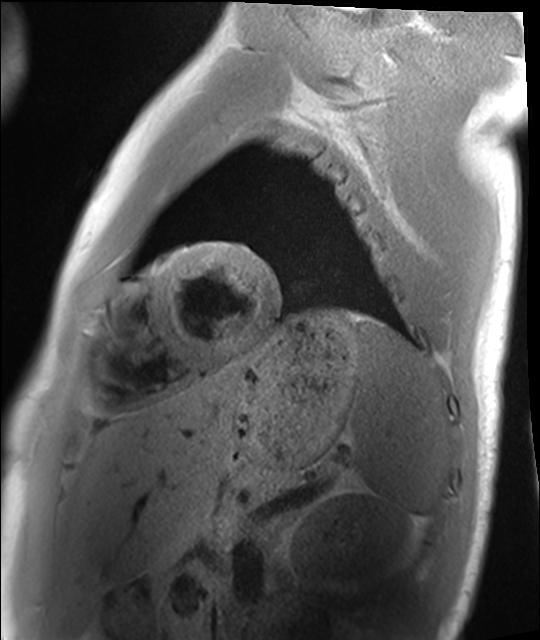
* modality — cardiac MRI
* subject group — healthy volunteer